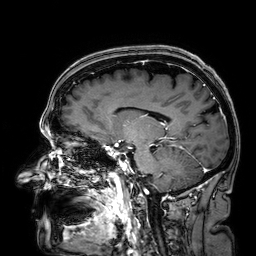
* modality — 3 Tesla brain MRI
* series — 3D T1-weighted
* study — ring-enhancing brain masses